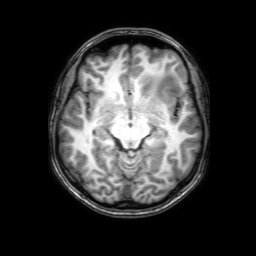
modality — 3 Tesla brain MRI
series — 3D T1-weighted with SENSE
study — ring-enhancing brain masses